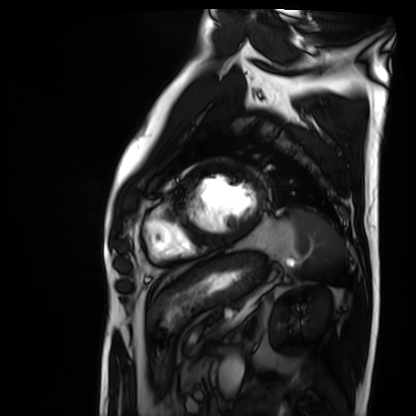
Cardiac MRI. Subject group: patient.